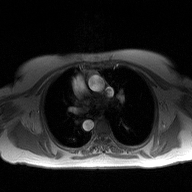
Case summary: 2D phase-contrast cine MRI of the ascending aorta, high-resolution GRAPPA acquisition.